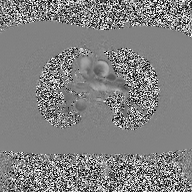
modality — 2D phase-contrast cine MRI of the ascending aorta